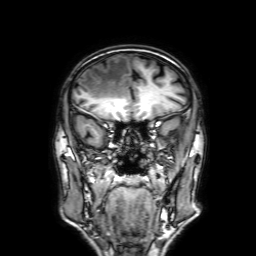
3 Tesla brain MRI. Series: 3D T1-weighted with SENSE. Study: ring-enhancing brain masses.